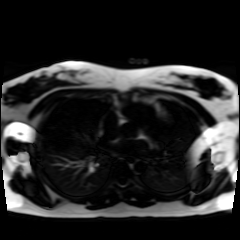
Chemical-shift-encoded cardiac MRI.